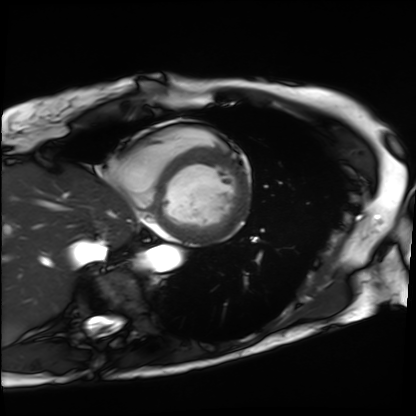
Cardiac MRI. Subject group: patient.